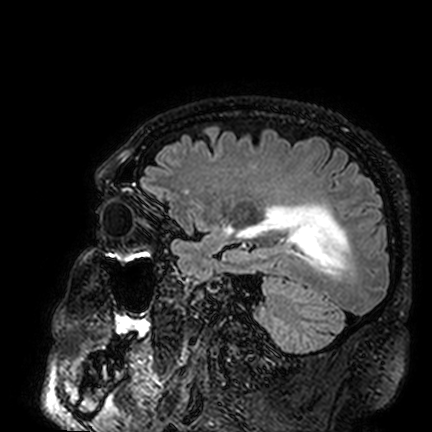
Summary:
3 Tesla brain MRI. Series: FLAIR VISTA. Study: ring-enhancing brain masses.